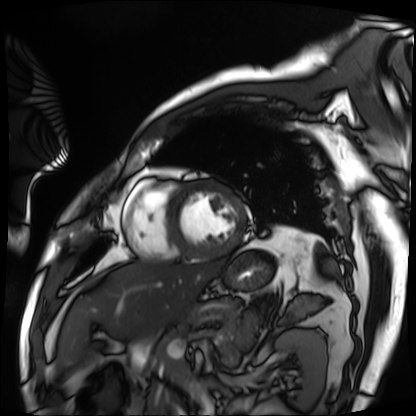
modality=cardiac MRI; subject group=patient.